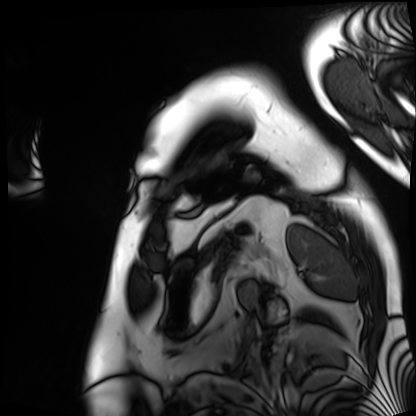
{
  "modality": "cardiac MRI",
  "cohort": "patient"
}